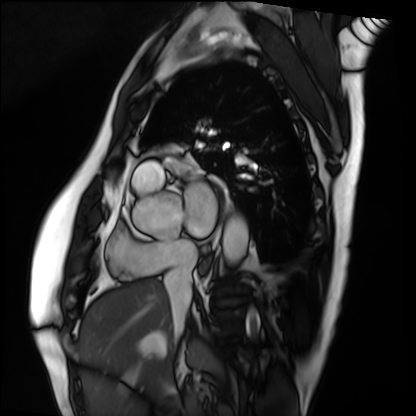
Case:
• modality · cardiac MRI
• subject group · patient